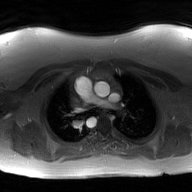
Summary:
2D phase-contrast cine MRI of the ascending aorta, GAN super-resolution reconstruction.